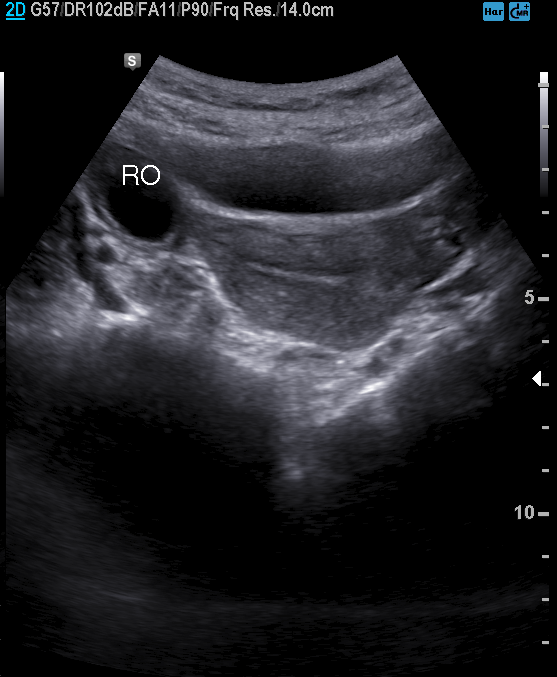
Case summary: Genitourinary ultrasound.